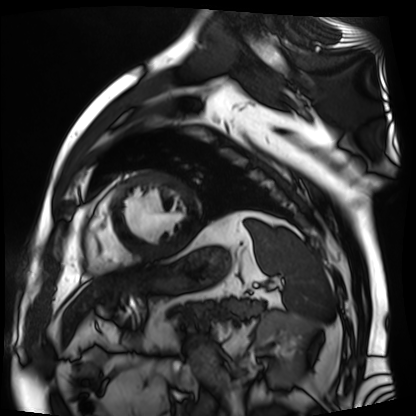
modality: cardiac MR image of the myocardium, subject cohort: cardiac patient.